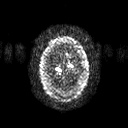
<study>
<modality>
  <type>brain MRI</type>
  <field_strength>3T</field_strength>
</modality>
<series>diffusion tensor imaging (medium iso)</series>
<study_topic>ring-enhancing brain masses</study_topic>
</study>